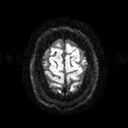
Q: What kind of scan is this?
A: 3 Tesla brain MRI.
Q: Series?
A: Diffusion tensor imaging (medium iso).
Study: ring-enhancing brain masses.